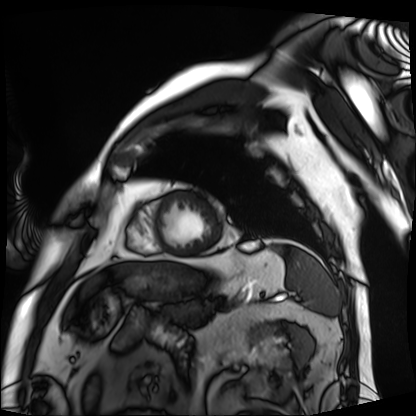
Q: What kind of scan is this?
A: Cardiac MRI.
Subject group: patient.